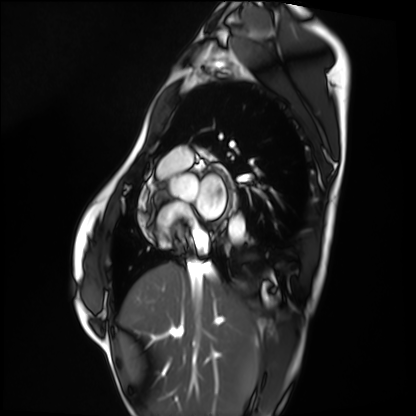
Cardiac MRI.
Subject group: healthy volunteer.